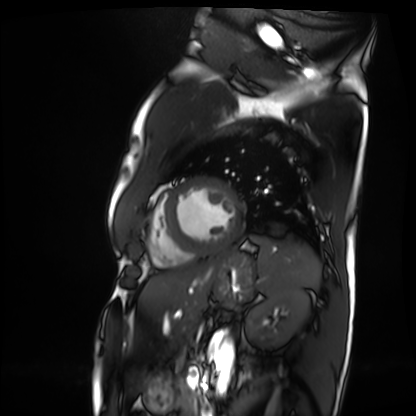
Cardiac MRI. Subject group: patient.